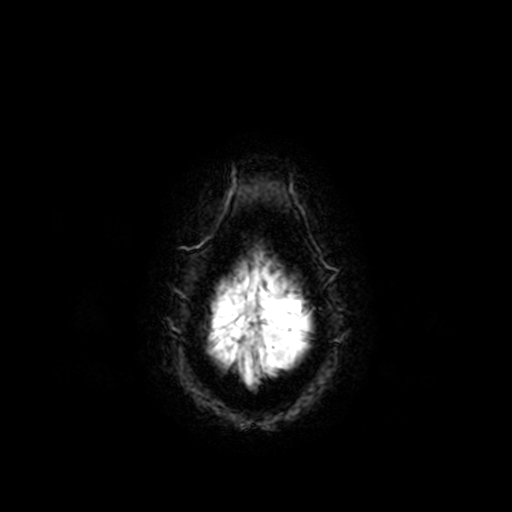
modality — 3 Tesla brain MRI | series — T2-weighted fast field echo | study — ring-enhancing brain masses.